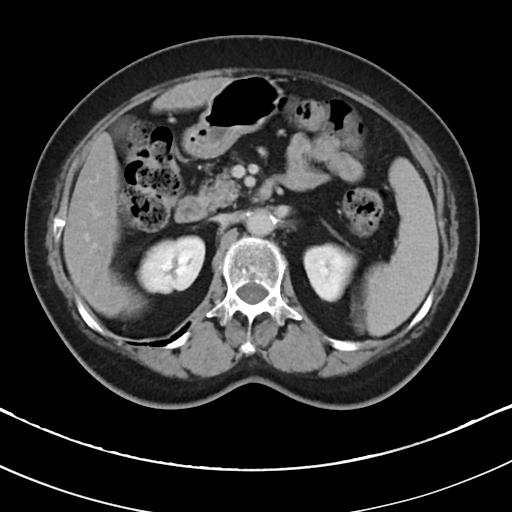
Multiphase abdominal CT, liver, delayed phase.
Patient: female, age 78.